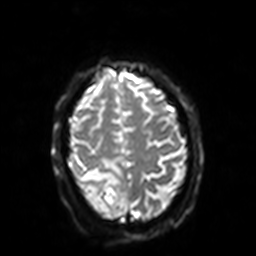
Q: What kind of scan is this?
A: 3 Tesla brain MRI.
Q: Series?
A: Diffusion-weighted imaging with SENSE (WIP).
Study: ring-enhancing brain masses.